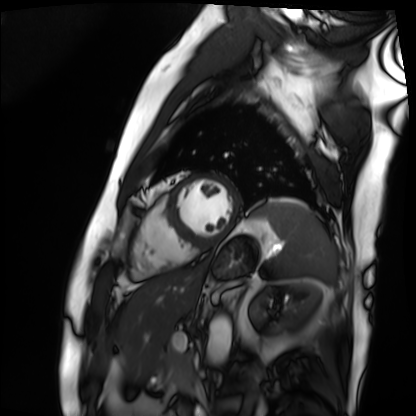
Cardiac MRI.
Subject group: patient.